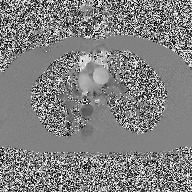
– modality · 2D phase-contrast cine MRI of the ascending aorta